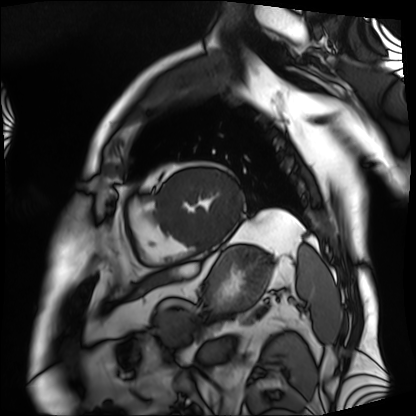
modality: cardiac MRI
subject group: patient